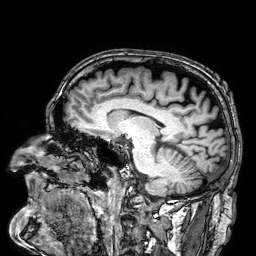
Q: What kind of scan is this?
A: 3 Tesla brain MRI.
Q: Series?
A: 3D T1-weighted.
Study: ring-enhancing brain masses.